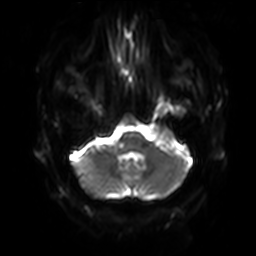
modality — 3 Tesla brain MRI | series — diffusion-weighted imaging with SENSE (WIP) | study — ring-enhancing brain masses.